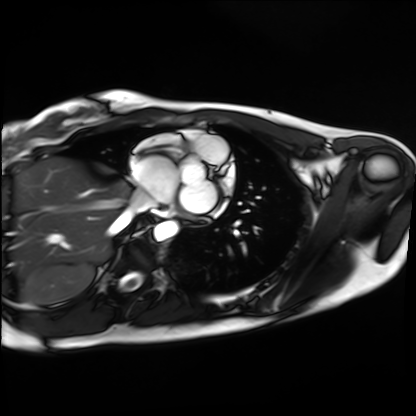
– modality: cardiac MRI
– subject group: healthy volunteer